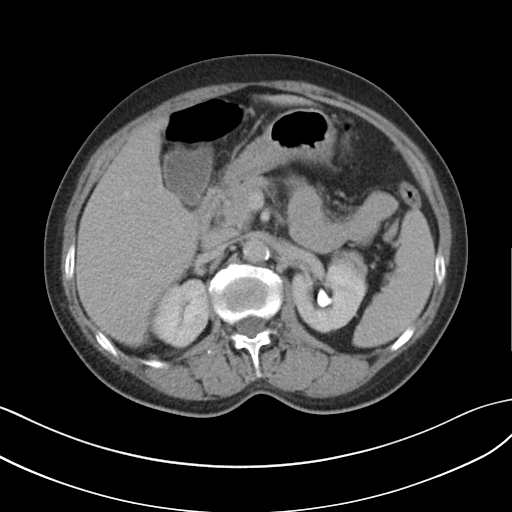
modality = multiphase abdominal CT, liver, delayed phase
patient = female, age 61
history = cirrhosis, viral hepatitis, prior chemotherapy